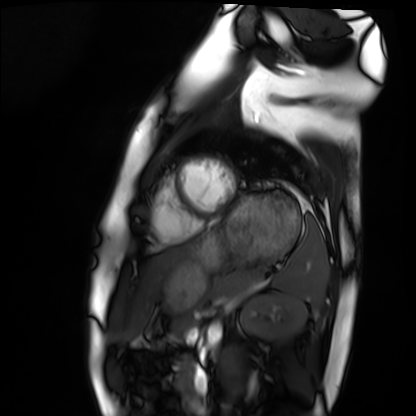
Clinical context:
Cardiac MRI. Subject group: healthy volunteer.